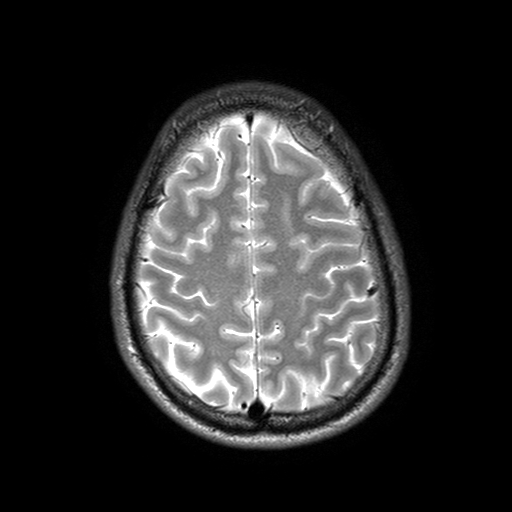
modality = 3 Tesla brain MRI | series = T2-weighted turbo spin echo with SENSE | study = ring-enhancing brain masses.